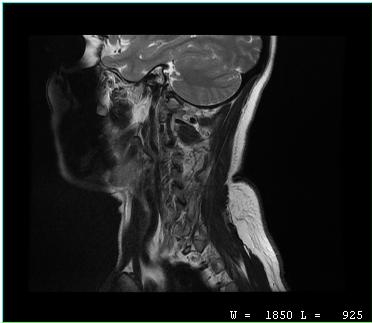
MRI of the cervical spine.
Study: cervical spondylosis.